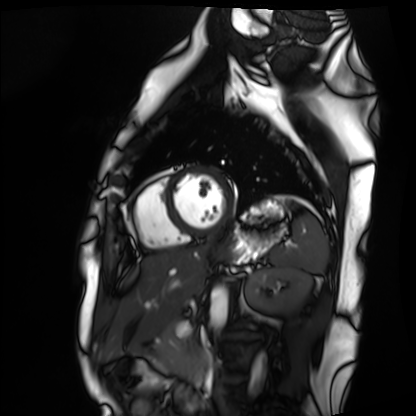
Cardiac MRI. Subject group: healthy volunteer.